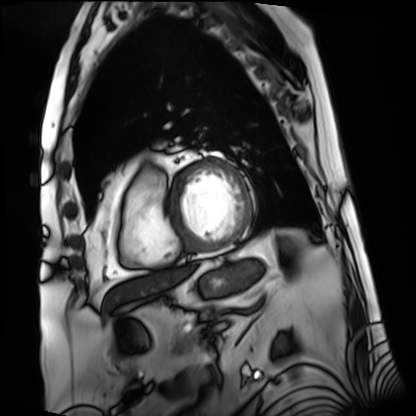
Q: What kind of scan is this?
A: Cardiac MRI.
Subject group: patient.